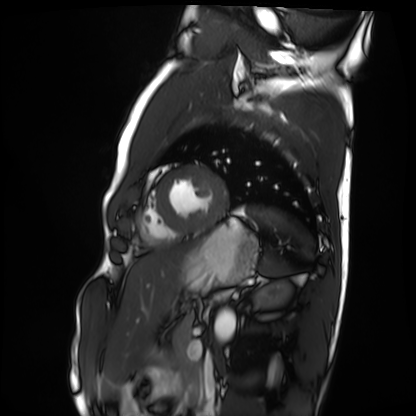
Clinical context:
Cardiac MRI. Subject group: healthy volunteer.